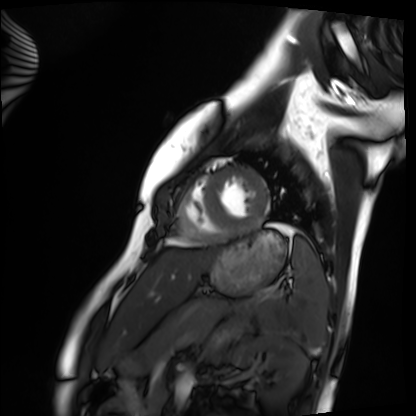
modality = cardiac MRI
subject group = healthy volunteer